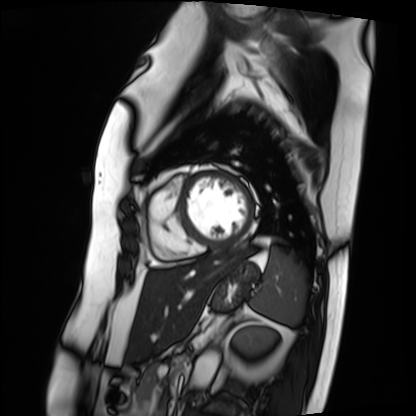
Case:
- modality: cardiac MRI
- subject group: patient